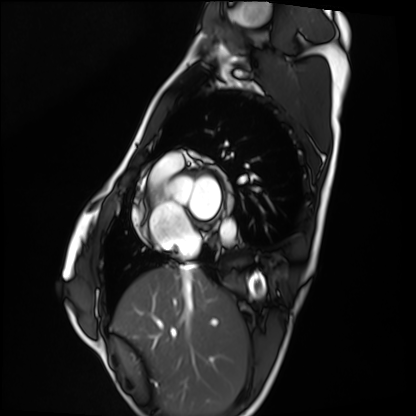
Q: What kind of scan is this?
A: Cardiac MRI.
Subject group: healthy volunteer.